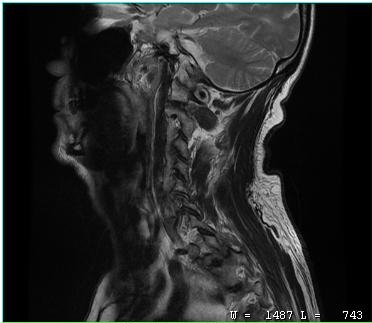
– modality: MRI of the cervical spine
– study: cervical spondylosis